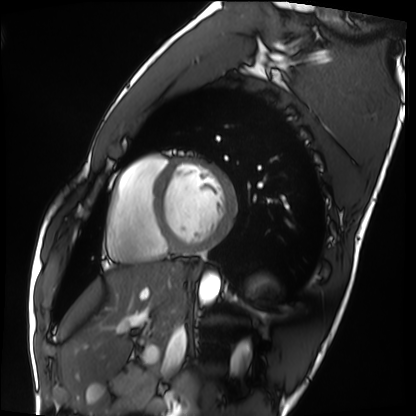
modality: cardiac MRI; subject group: healthy volunteer.